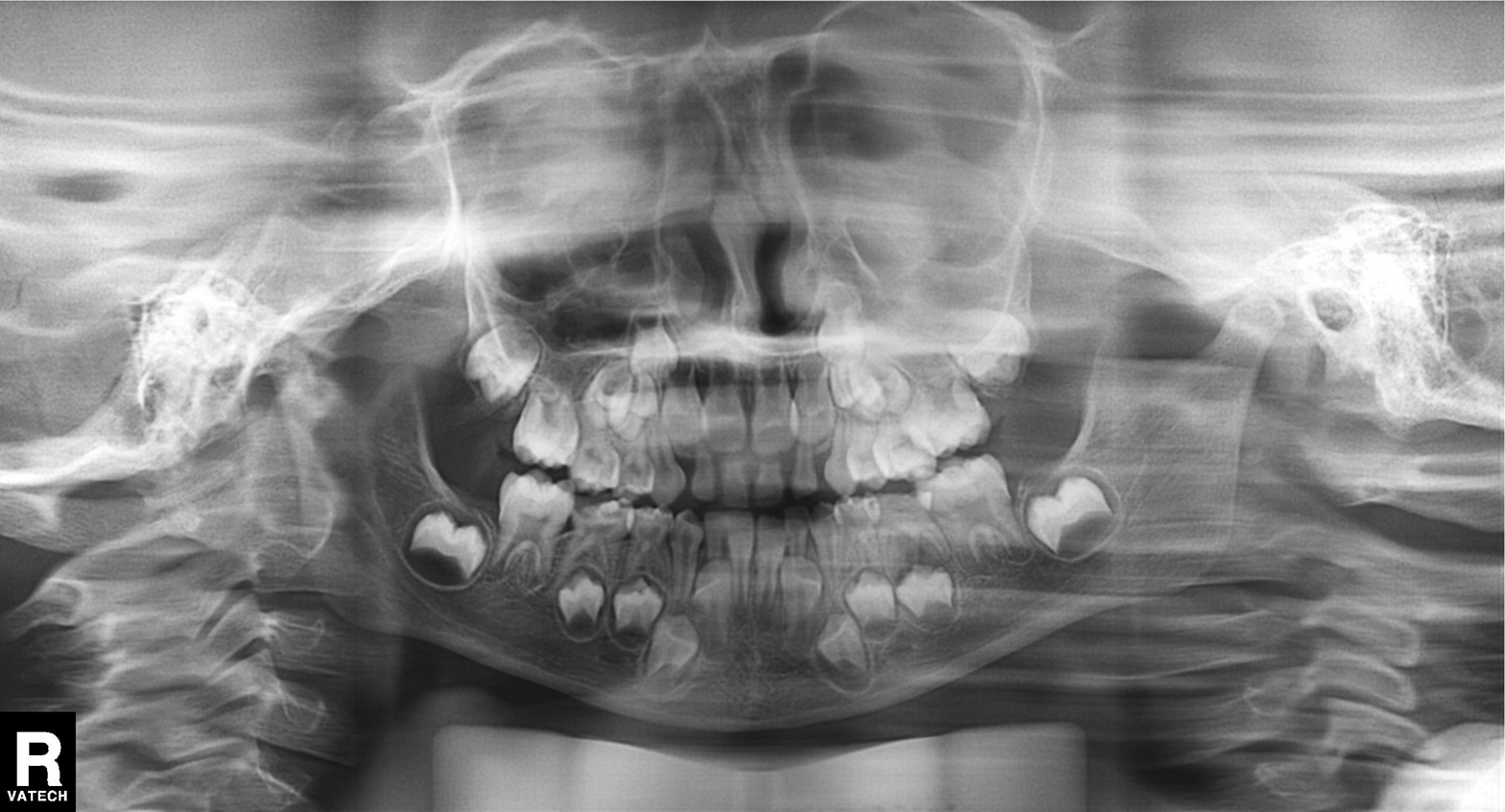
Q: What kind of scan is this?
A: Panoramic dental radiograph (orthopantomogram).
Q: What is the radiographic finding?
A: Tooth impaction.